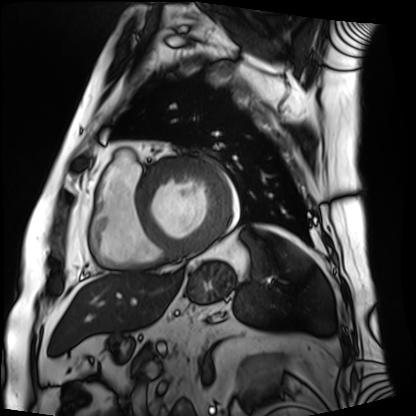
– modality — cardiac MRI
– subject group — patient